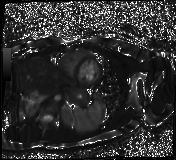
Clinical context:
Cardiac MR image of the myocardium. Subject cohort: healthy volunteer.